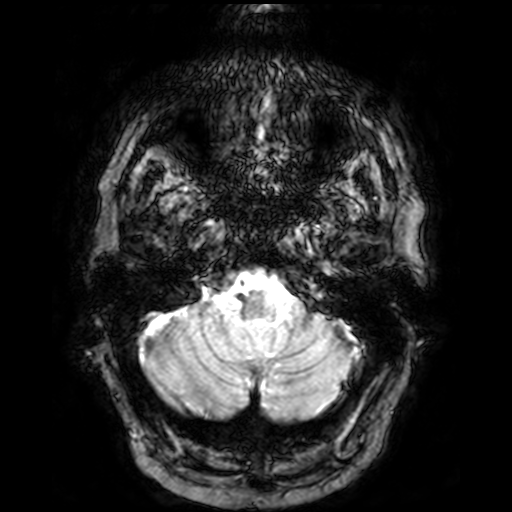
3 Tesla brain MRI.
Study: ring-enhancing brain masses.